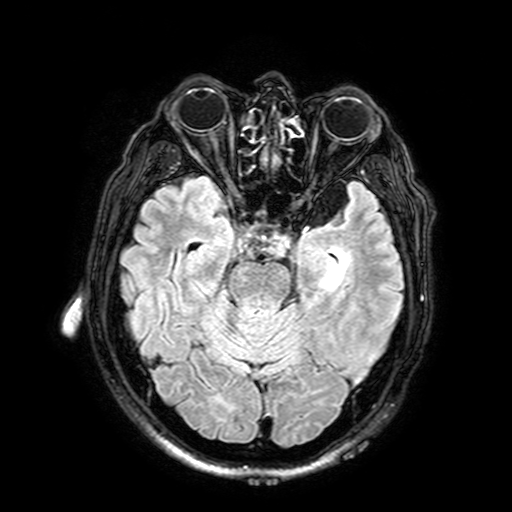
Case summary:
3 Tesla brain MRI. Series: FLAIR with SPAIR, 3 mm. Study: ring-enhancing brain masses.